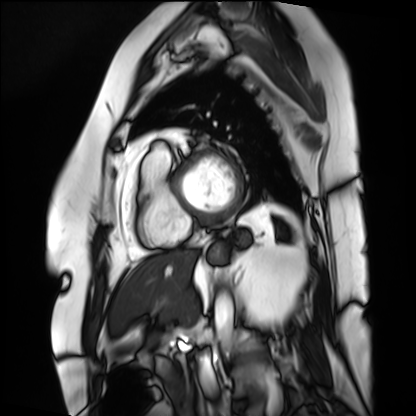
modality = cardiac MRI
subject group = patient